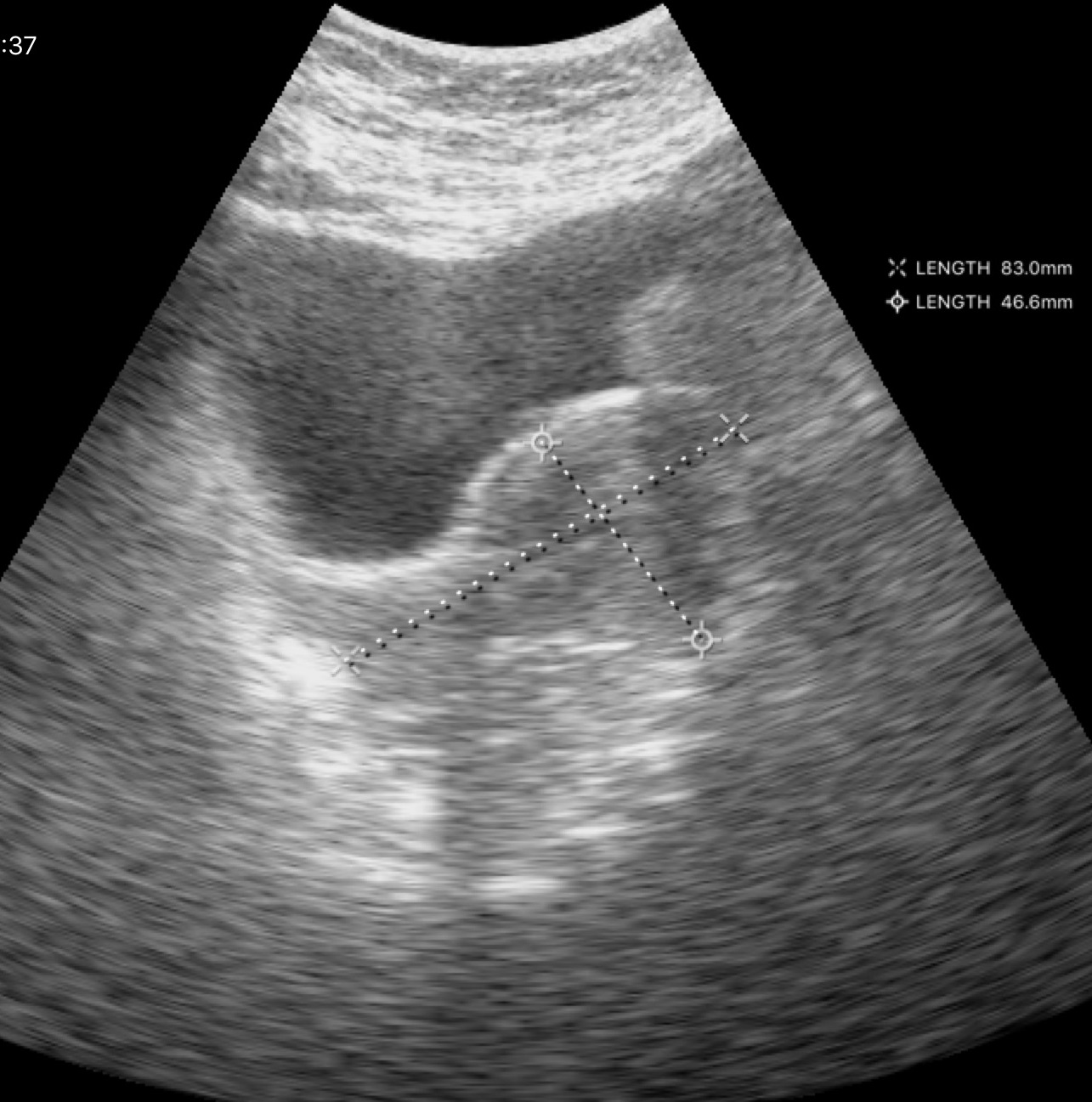
Q: What kind of scan is this?
A: Genitourinary ultrasound.